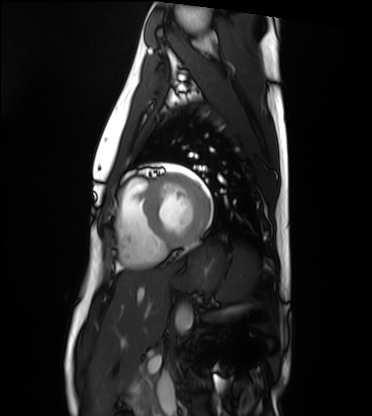
Case:
• modality: cardiac MRI
• subject group: healthy volunteer